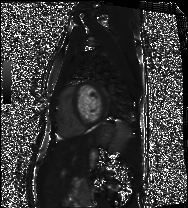
| field | value |
|---|---|
| modality | cardiac MRI |
| subject group | healthy volunteer |